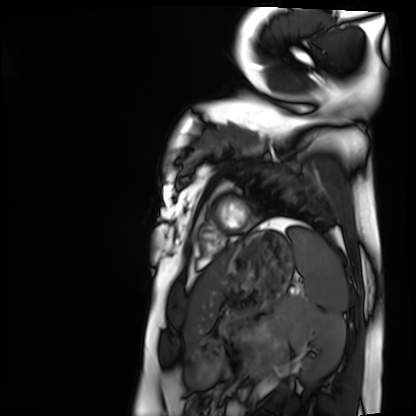
modality: cardiac MRI | subject group: healthy volunteer.